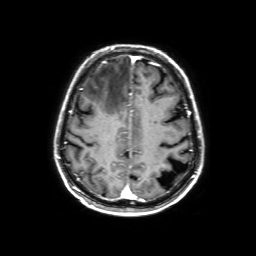
Summary: 3 Tesla brain MRI. Study: ring-enhancing brain masses.